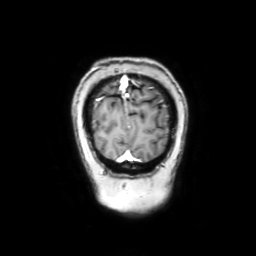
3 Tesla brain MRI. Series: coronal with contrast. Study: ring-enhancing brain masses.